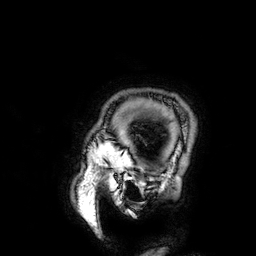
{"modality": {"type": "brain MRI", "field_strength": "3T"}, "series": "3D T1-weighted", "study_topic": "ring-enhancing brain masses"}